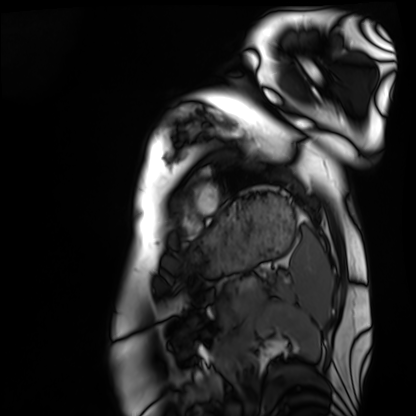
Clinical context:
Cardiac MRI. Subject group: healthy volunteer.